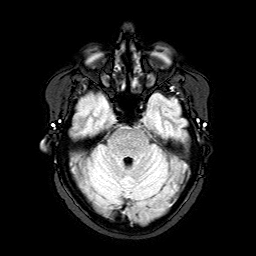
Summary:
3 Tesla brain MRI. Series: FLAIR with SPAIR. Study: ring-enhancing brain masses.